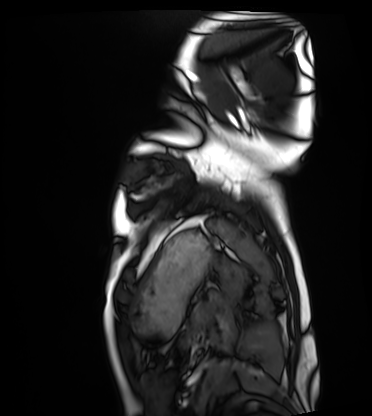
| field | value |
|---|---|
| modality | cardiac MRI |
| subject group | healthy volunteer |